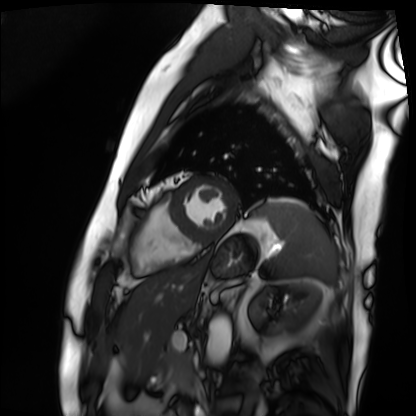
Cardiac MRI.
Subject group: patient.